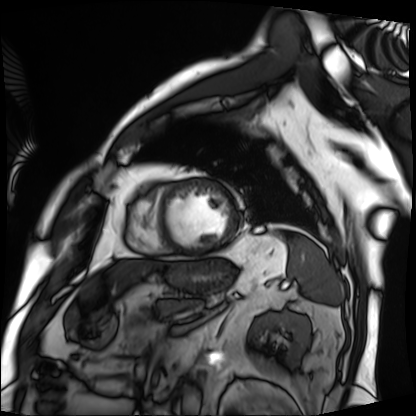
modality = cardiac MRI; subject group = patient.